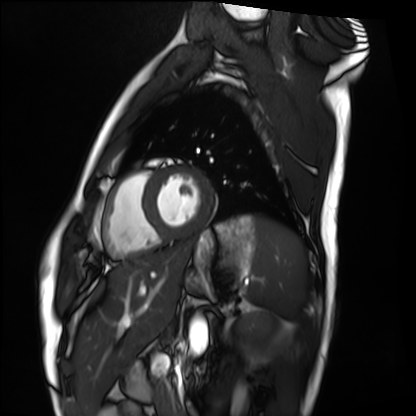
modality: cardiac MRI
cohort: healthy volunteer